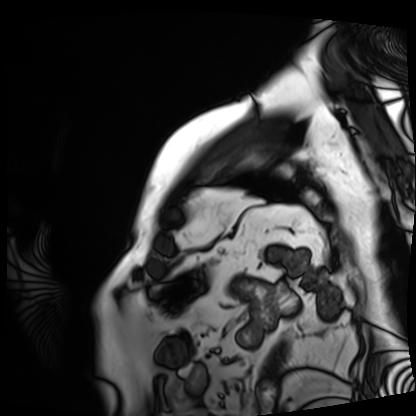
Summary: Cardiac MRI. Subject group: patient.